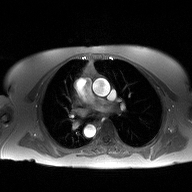
* modality: 2D phase-contrast cine MRI of the ascending aorta